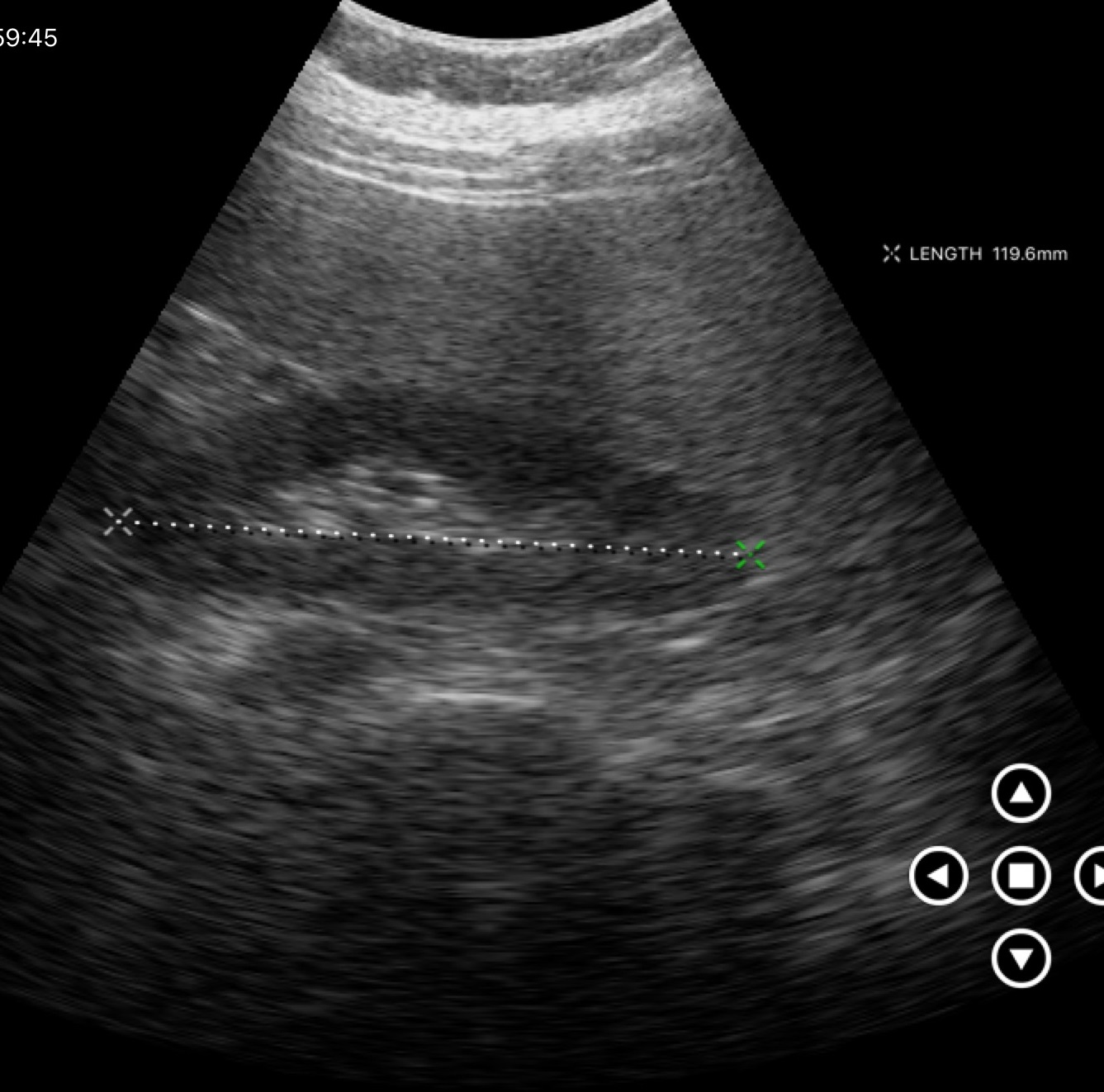
modality = genitourinary ultrasound.